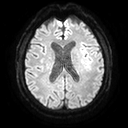
3 Tesla brain MRI.
Series: diffusion tensor imaging (medium iso).
Study: ring-enhancing brain masses.